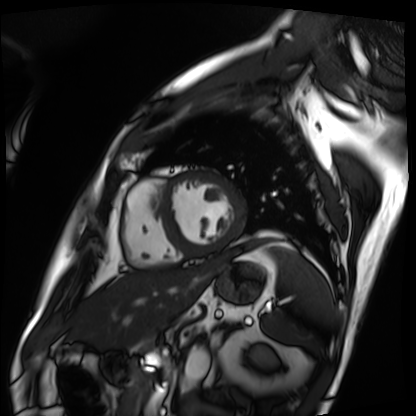
| field | value |
|---|---|
| modality | cardiac MRI |
| subject group | patient |